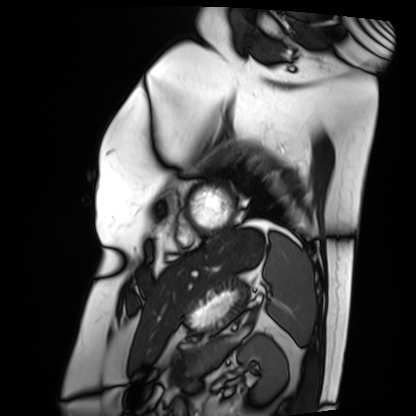
Q: What kind of scan is this?
A: Cardiac MRI.
Subject group: patient.